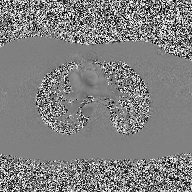
Clinical context:
2D phase-contrast cine MRI of the ascending aorta, high-resolution GRAPPA acquisition.